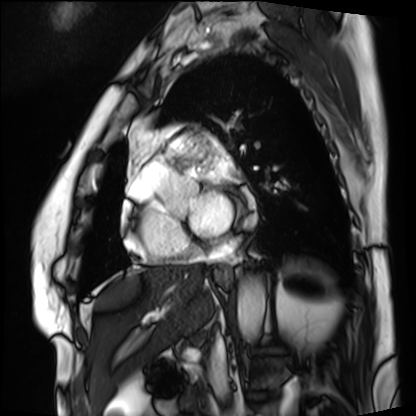
modality: cardiac MRI
subject group: patient